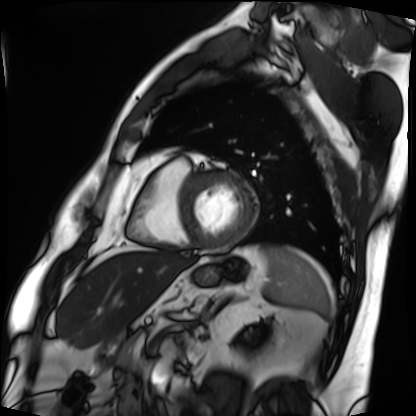
modality = cardiac MRI | subject group = patient.